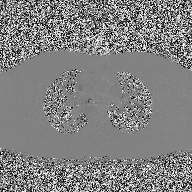
<scan>
  <modality>
    <type>2D phase-contrast cine MRI</type>
    <region>ascending aorta</region>
    <reconstruction>high-resolution GRAPPA acquisition</reconstruction>
  </modality>
</scan>